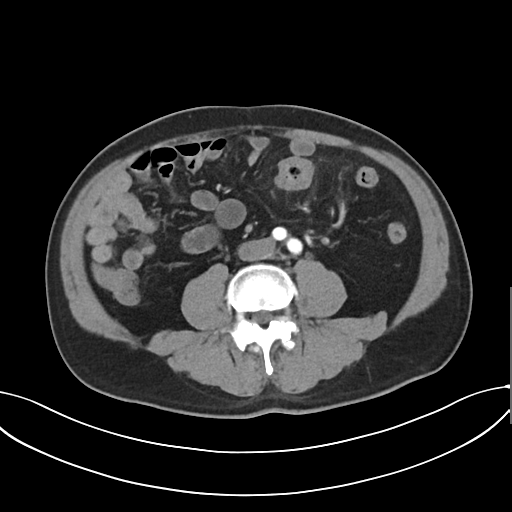
Summary: Multiphase abdominal CT, liver, arterial phase. Patient: male, age 58.